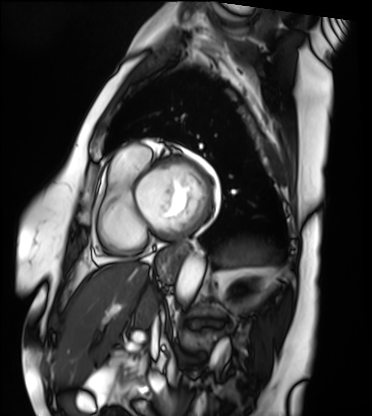
modality = cardiac MRI; subject group = patient.